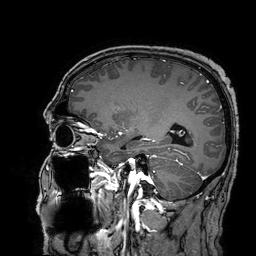
Summary:
3 Tesla brain MRI. Series: 3D T1-weighted turbo field echo with SENSE. Study: ring-enhancing brain masses.